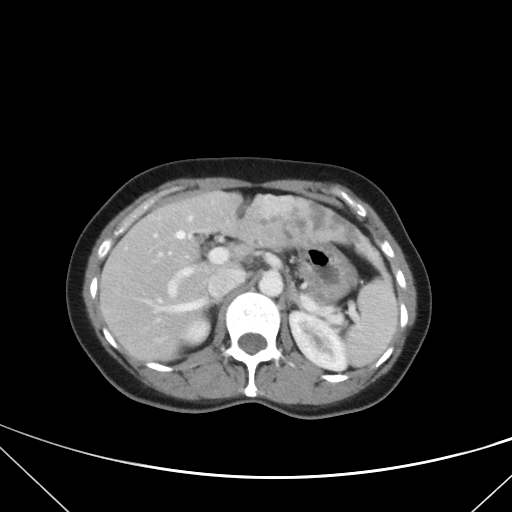
Case:
- modality — multiphase abdominal CT, liver, portal venous phase
- patient — female, age 42
- history — prior chemotherapy